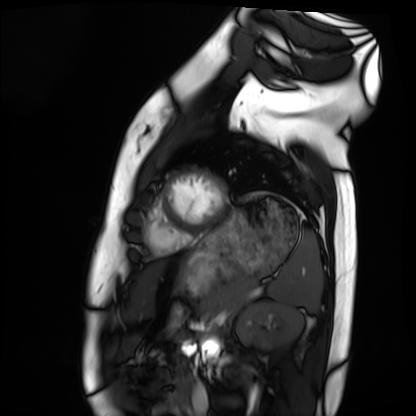
Case:
- modality — cardiac MRI
- subject group — healthy volunteer